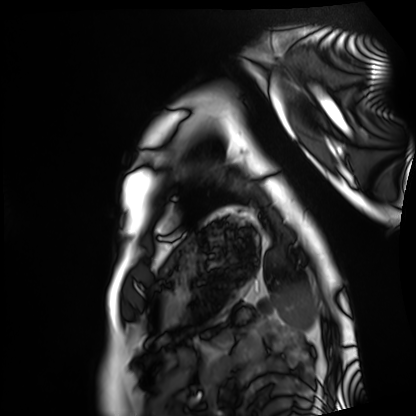
Cardiac MRI.
Subject group: healthy volunteer.